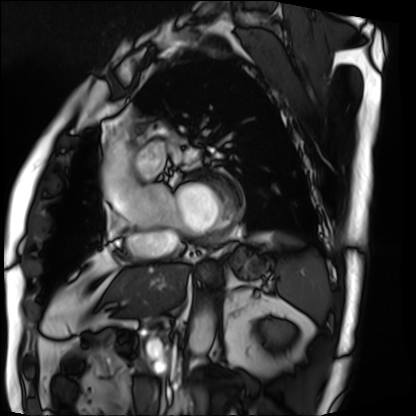
Cardiac MRI. Subject group: patient.